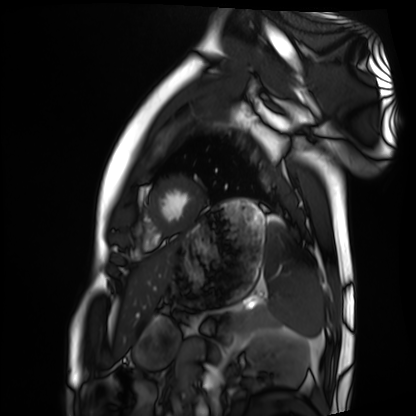
Summary:
Cardiac MRI. Subject group: healthy volunteer.